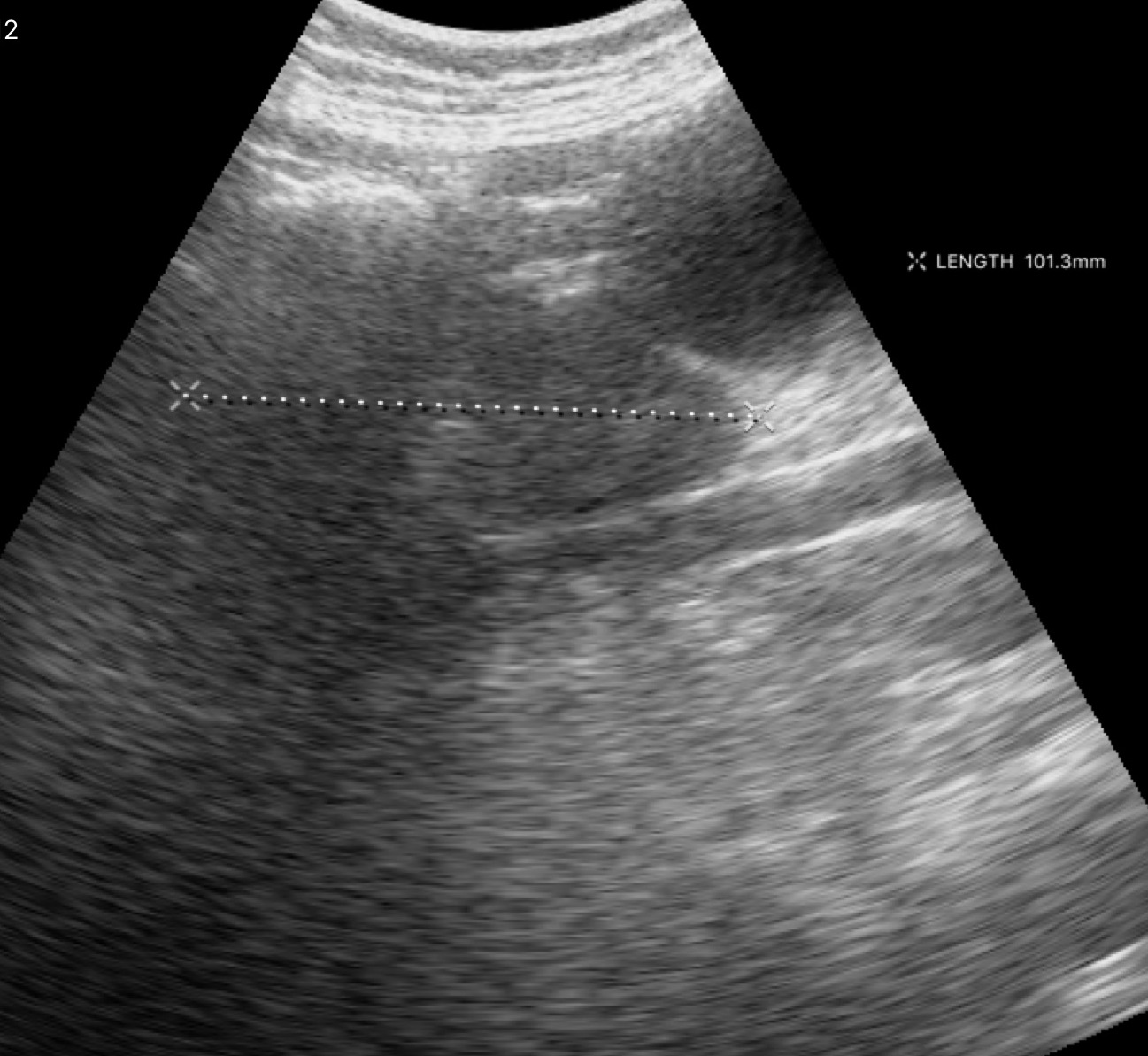
| field | value |
|---|---|
| modality | genitourinary ultrasound |